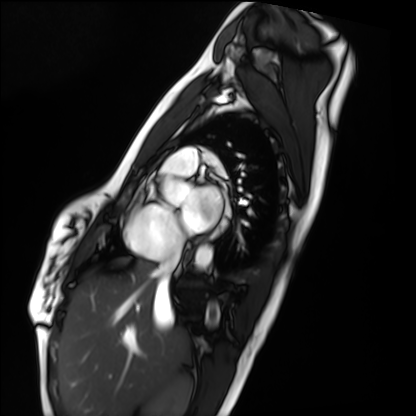
Case:
• modality — cardiac MRI
• subject group — healthy volunteer